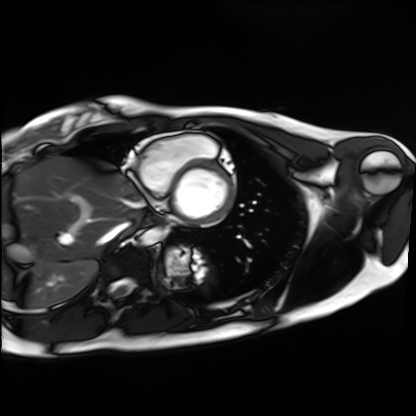
Cardiac MRI. Subject group: healthy volunteer.